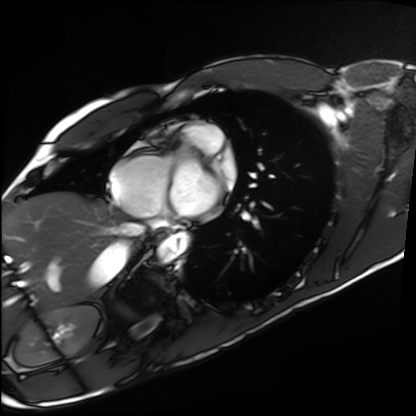
| field | value |
|---|---|
| modality | cardiac MRI |
| subject group | healthy volunteer |